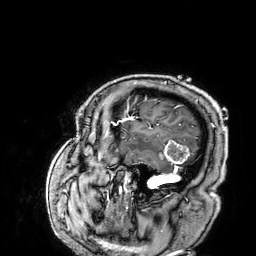
Summary: 3 Tesla brain MRI. Series: 3D T1-weighted. Study: ring-enhancing brain masses.